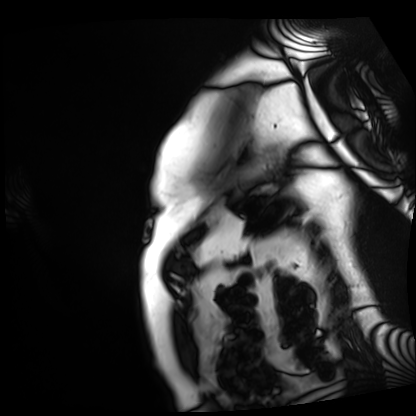
Cardiac MRI. Subject group: patient.